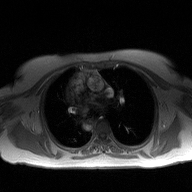
modality=2D phase-contrast cine MRI of the ascending aorta